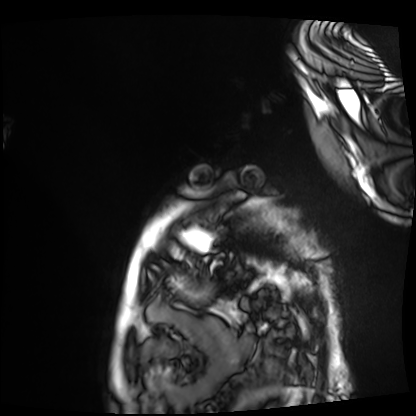
Q: What kind of scan is this?
A: Cardiac MRI.
Subject group: patient.